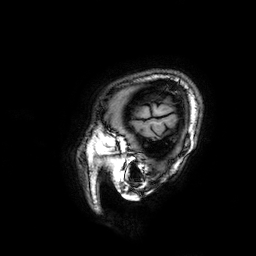
Case summary:
3 Tesla brain MRI. Series: 3D T1-weighted. Study: ring-enhancing brain masses.